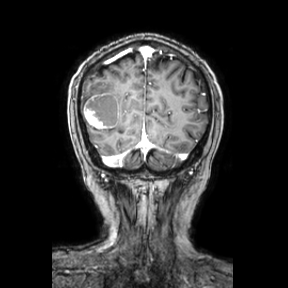
modality: 3 Tesla brain MRI
series: coronal
study: ring-enhancing brain masses